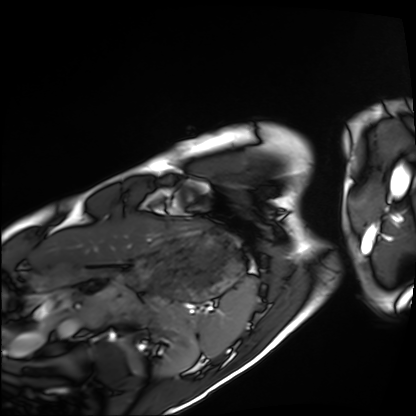
Cardiac MRI. Subject group: healthy volunteer.